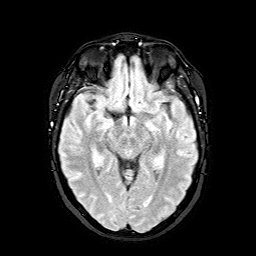
Case summary: 3 Tesla brain MRI. Series: FLAIR with SPAIR. Study: ring-enhancing brain masses.